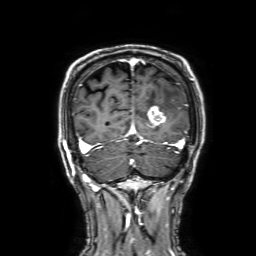
Q: What kind of scan is this?
A: 3 Tesla brain MRI.
Q: Series?
A: 3D T1-weighted with SENSE.
Study: ring-enhancing brain masses.